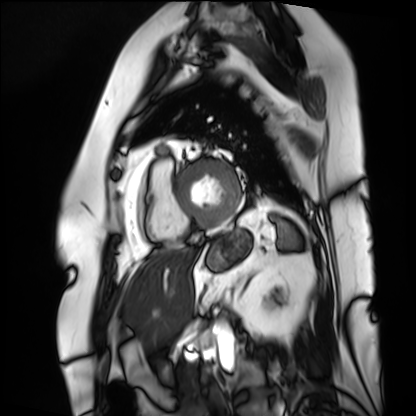
Case summary:
Cardiac MRI. Subject group: patient.